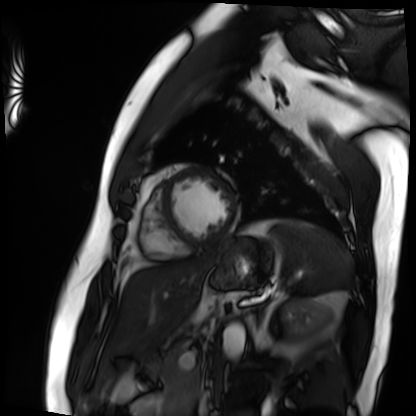
Clinical context: Cardiac MRI. Subject group: patient.